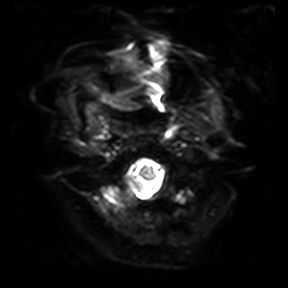
modality: 3 Tesla brain MRI
study: ring-enhancing brain masses